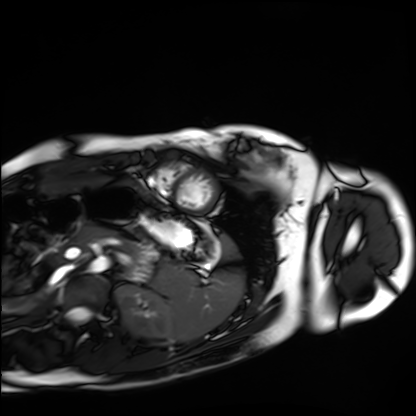
Summary:
Cardiac MRI. Subject group: healthy volunteer.